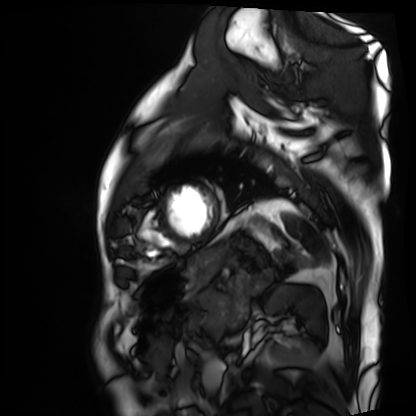
Cardiac MRI.
Subject group: patient.